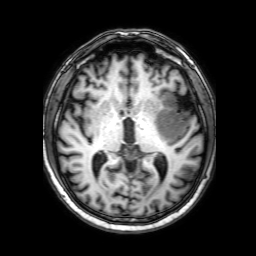
3 Tesla brain MRI. Series: 3D T1-weighted with SENSE. Study: ring-enhancing brain masses.